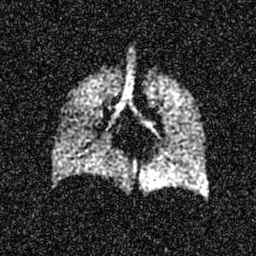
Hyperpolarized 129Xe ventilation MRI of the lungs.
SNR level 6 of 8 (the deposit holds this scan as its native image and as seven SNR-degraded versions).